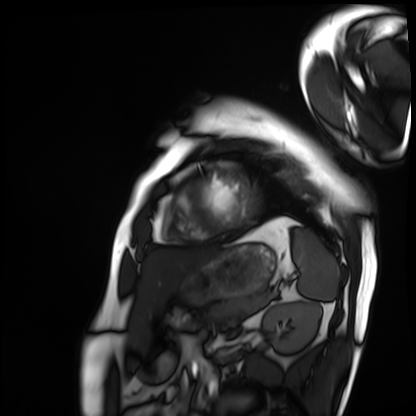
Cardiac MRI.
Subject group: patient.